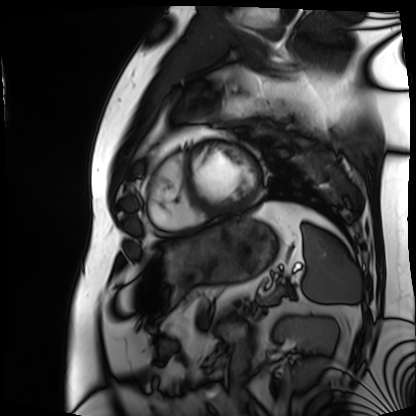
Clinical context:
Cardiac MRI. Subject group: patient.